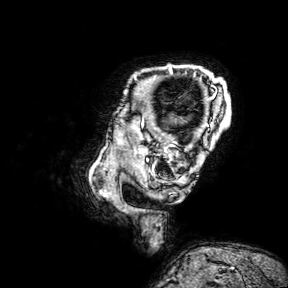
| field | value |
|---|---|
| modality | 3 Tesla brain MRI |
| series | 3D T1-weighted turbo field echo with SENSE |
| study | ring-enhancing brain masses |